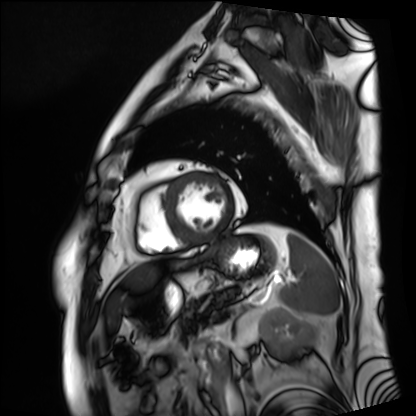
Cardiac MRI. Subject group: patient.